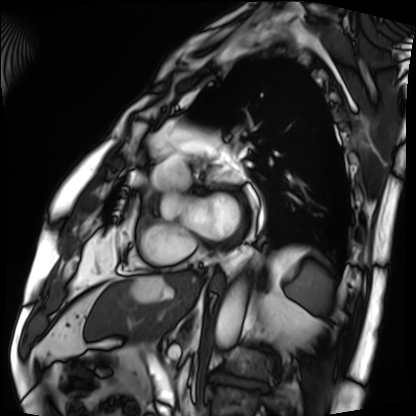
| field | value |
|---|---|
| modality | cardiac MRI |
| subject group | patient |